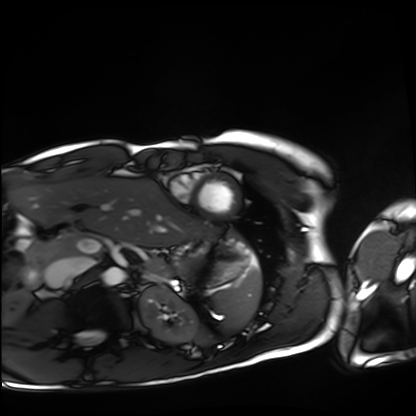
Cardiac MRI.
Subject group: healthy volunteer.